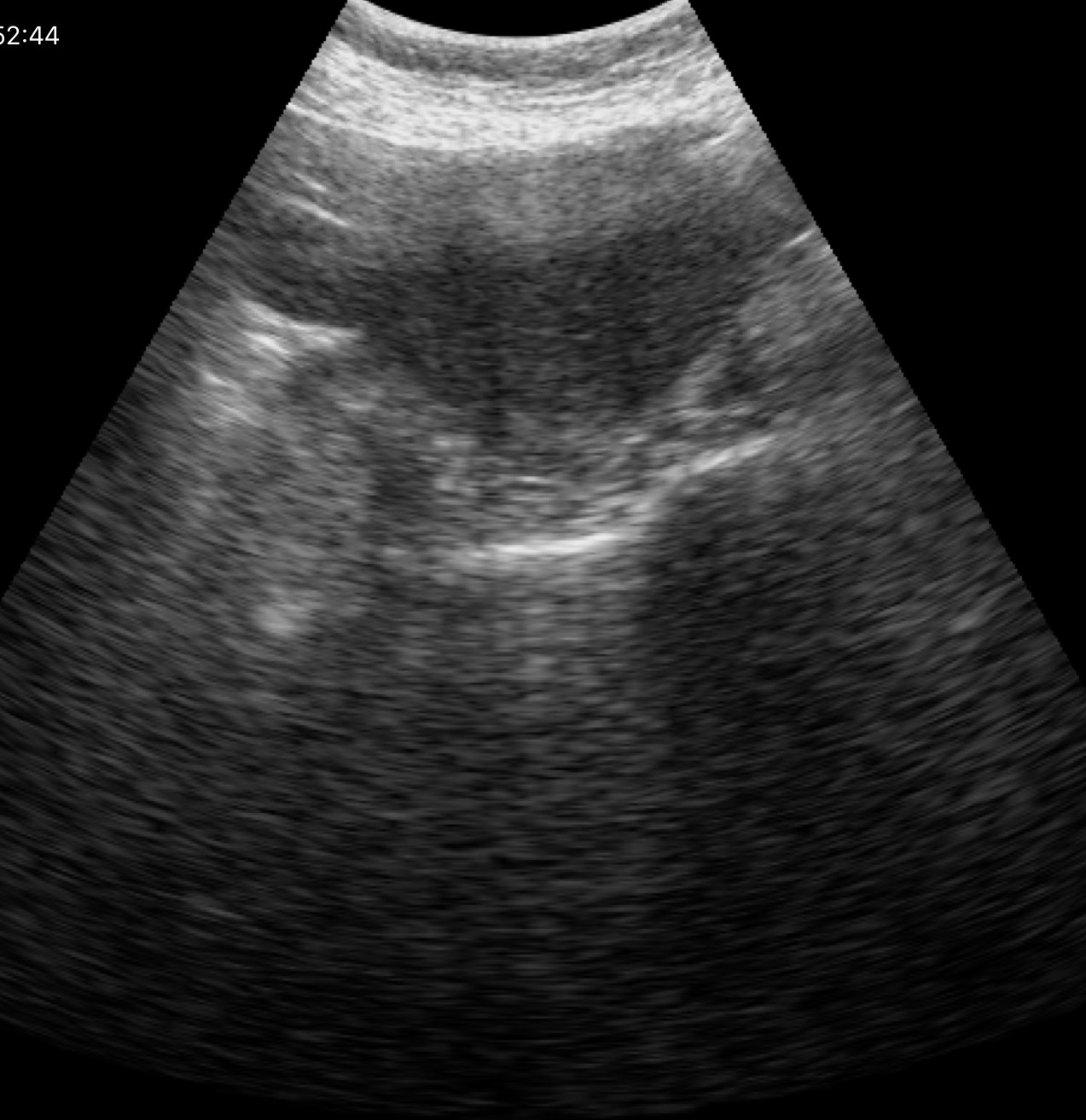
Genitourinary ultrasound.